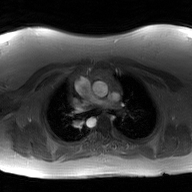
2D phase-contrast cine MRI of the ascending aorta, GAN super-resolution reconstruction.